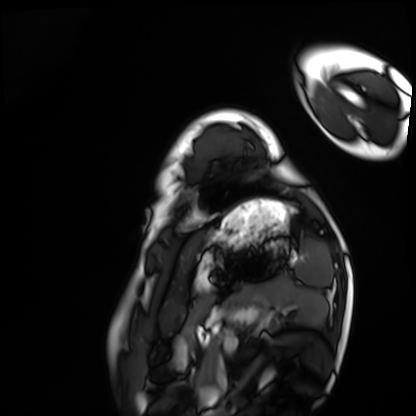
Summary: Cardiac MRI. Subject group: healthy volunteer.